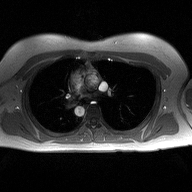
modality: 2D phase-contrast cine MRI of the ascending aorta.